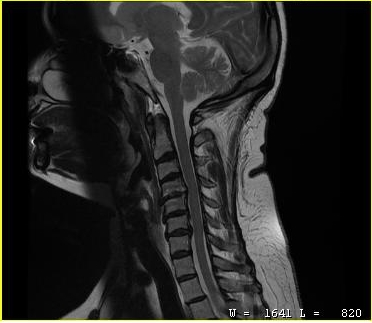
<case>
<modality>
  <type>cervical spine MRI</type>
</modality>
<study_topic>cervical spondylosis</study_topic>
</case>